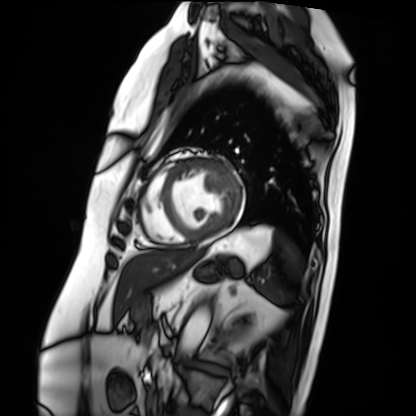
modality: cardiac MRI | subject group: patient.